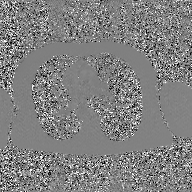
2D phase-contrast cine MRI of the ascending aorta, GAN super-resolution reconstruction.